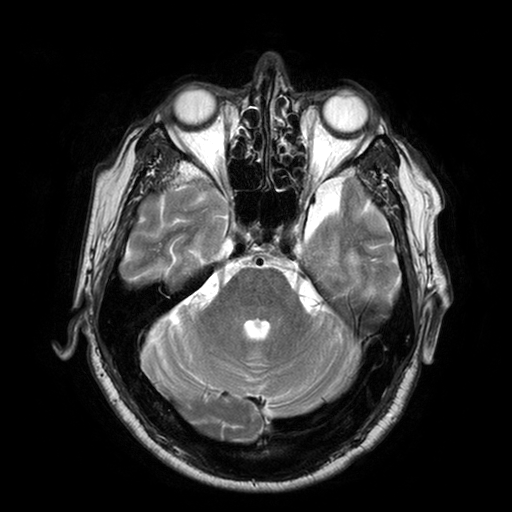
Q: What kind of scan is this?
A: 3 Tesla brain MRI.
Study: ring-enhancing brain masses.